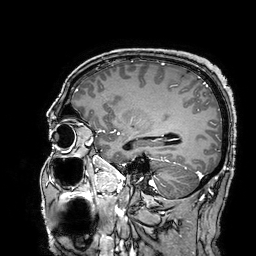
3 Tesla brain MRI.
Series: 3D T1-weighted turbo field echo with SENSE.
Study: ring-enhancing brain masses.